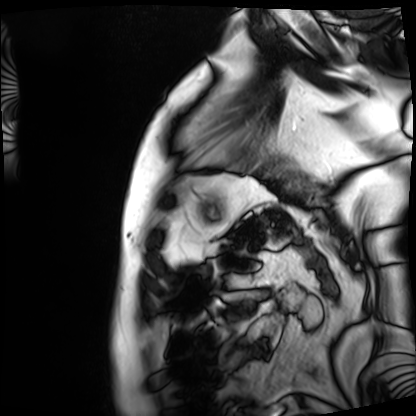
Cardiac MRI. Subject group: patient.